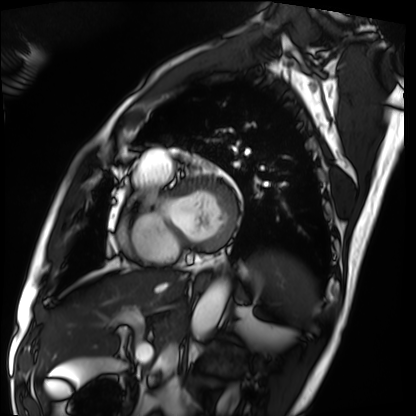
Clinical context: Cardiac MRI. Subject group: patient.